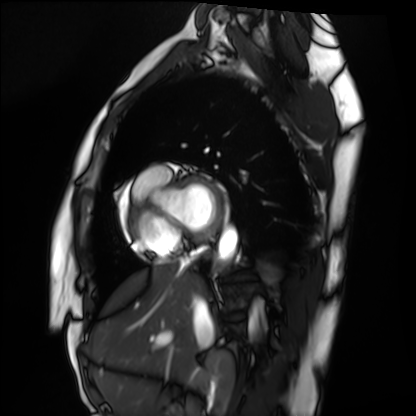
* modality — cardiac MRI
* subject group — healthy volunteer